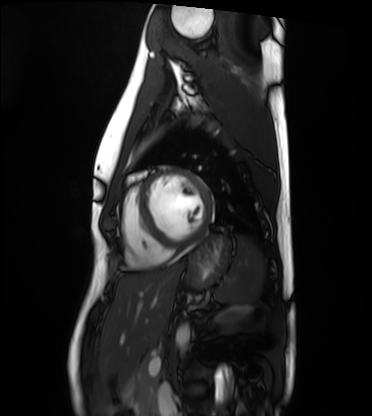
Clinical context: Cardiac MRI. Subject group: healthy volunteer.